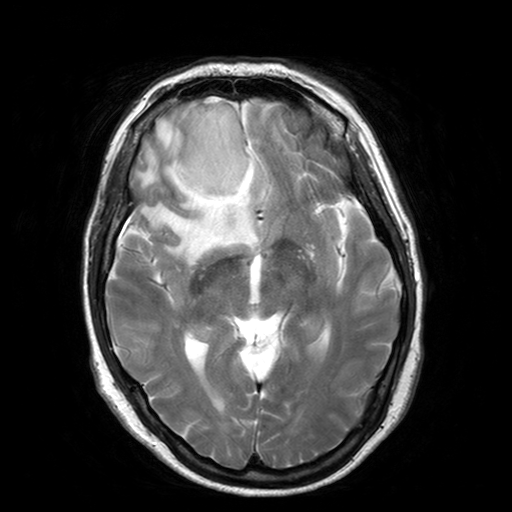
modality=3 Tesla brain MRI; series=T2-weighted turbo spin echo with SENSE; study=ring-enhancing brain masses.